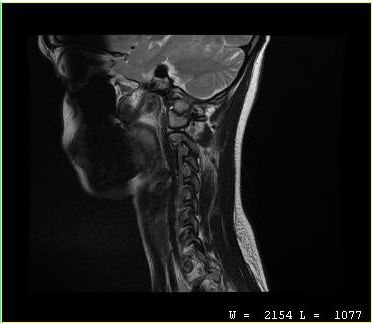
{
  "modality": {
    "type": "cervical spine MRI"
  },
  "study_topic": "cervical spondylosis"
}